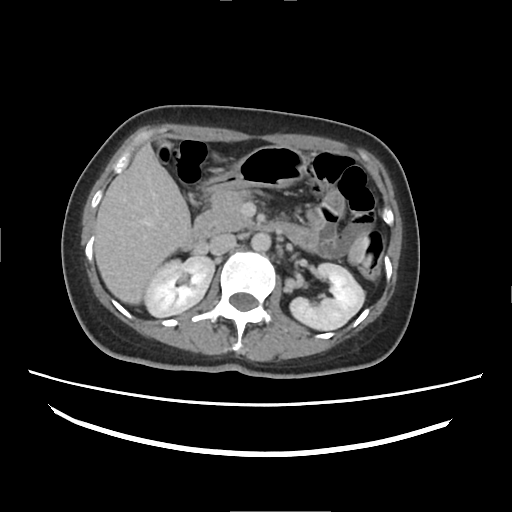
{"modality": {"type": "multiphase abdominal CT", "region": "liver", "phase": "delayed"}, "patient": {"sex": "female", "age": 38}, "history": ["cirrhosis", "viral hepatitis"]}